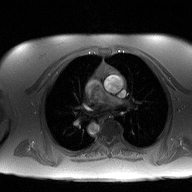
2D phase-contrast cine MRI of the ascending aorta, high-resolution GRAPPA acquisition.